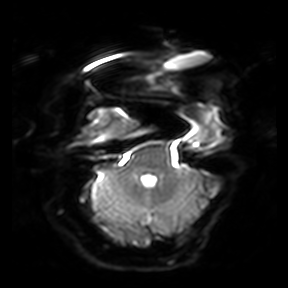
Q: What kind of scan is this?
A: 3 Tesla brain MRI.
Q: Series?
A: Diffusion-weighted imaging.
Study: ring-enhancing brain masses.